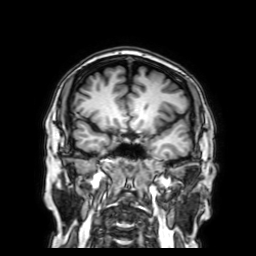
Summary: 3 Tesla brain MRI. Series: 3D T1-weighted with SENSE. Study: ring-enhancing brain masses.